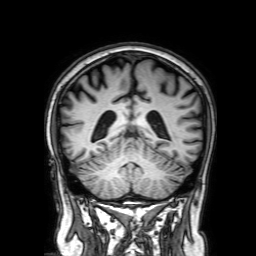
{"modality": {"type": "brain MRI", "field_strength": "3T"}, "series": "3D T1-weighted with SENSE", "study_topic": "ring-enhancing brain masses"}